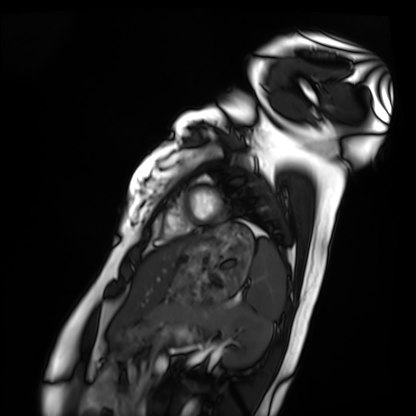
Summary: Cardiac MRI. Subject group: healthy volunteer.